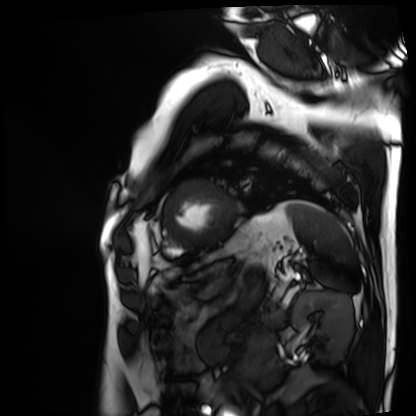
Case summary: Cardiac MRI. Subject group: patient.